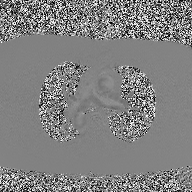
modality=2D phase-contrast cine MRI of the ascending aorta.